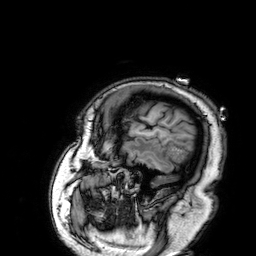
Q: What kind of scan is this?
A: 3 Tesla brain MRI.
Q: Series?
A: 3D T1-weighted.
Study: ring-enhancing brain masses.